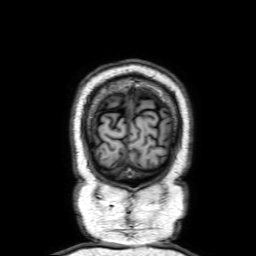
modality: 3 Tesla brain MRI | series: 3D T1-weighted with SENSE | study: ring-enhancing brain masses.